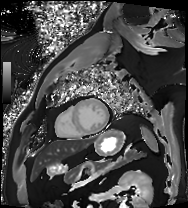
modality = cardiac MRI | subject group = patient.